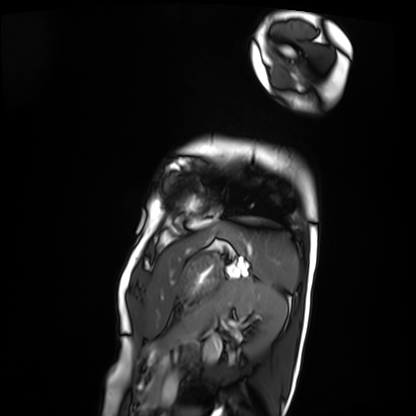
Case:
* modality · cardiac MRI
* subject group · patient